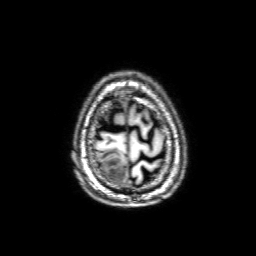
modality: 3 Tesla brain MRI | series: 3D T1-weighted with SENSE | study: ring-enhancing brain masses.